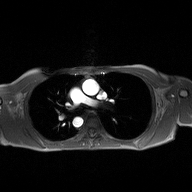
2D phase-contrast cine MRI of the ascending aorta, high-resolution GRAPPA acquisition.